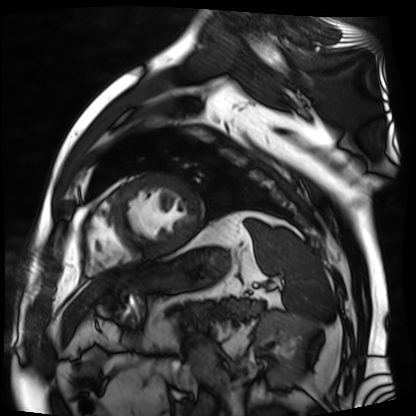
Q: What kind of scan is this?
A: Cardiac MR image of the myocardium.
Subject cohort: cardiac patient.